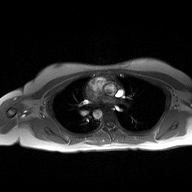
Q: What kind of scan is this?
A: 2D phase-contrast cine MRI of the ascending aorta.